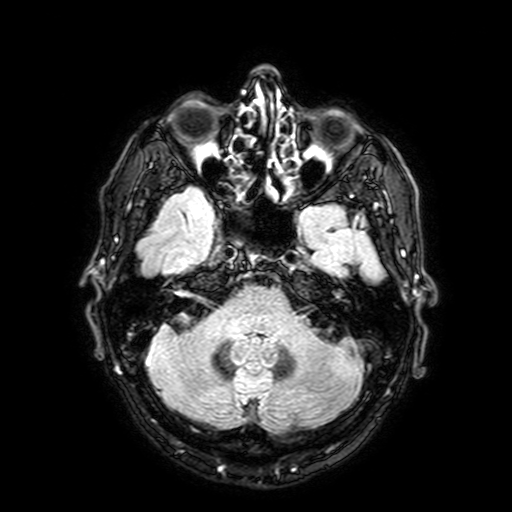
Q: What kind of scan is this?
A: 3 Tesla brain MRI.
Q: Series?
A: FLAIR with SPAIR, 3 mm.
Study: ring-enhancing brain masses.